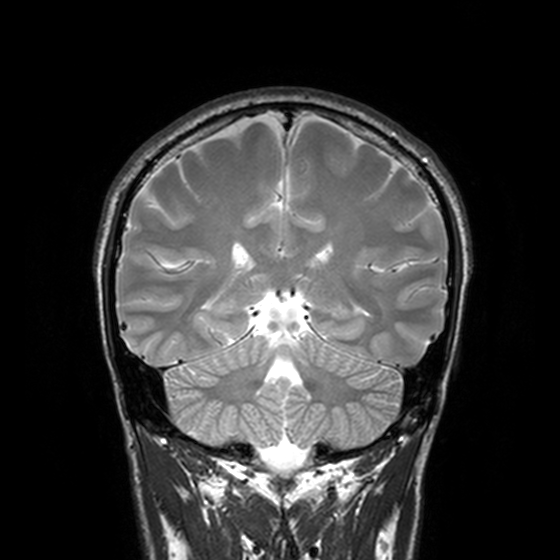
3 Tesla brain MRI. Series: T2-weighted turbo spin echo, 3 mm. Study: ring-enhancing brain masses.